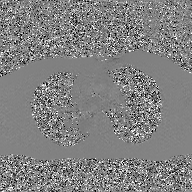
– modality — 2D phase-contrast cine MRI of the ascending aorta, GAN super-resolution reconstruction